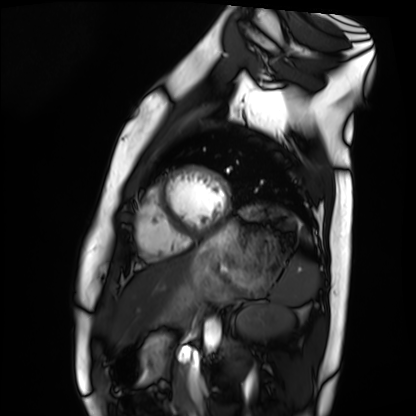
Cardiac MRI. Subject group: healthy volunteer.